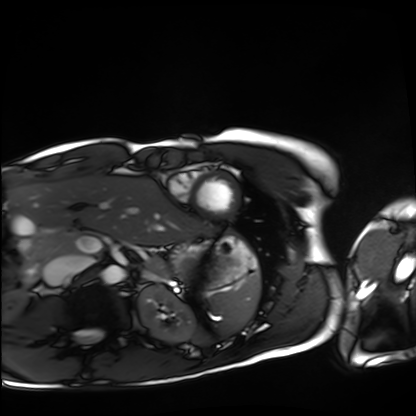
Cardiac MRI. Subject group: healthy volunteer.